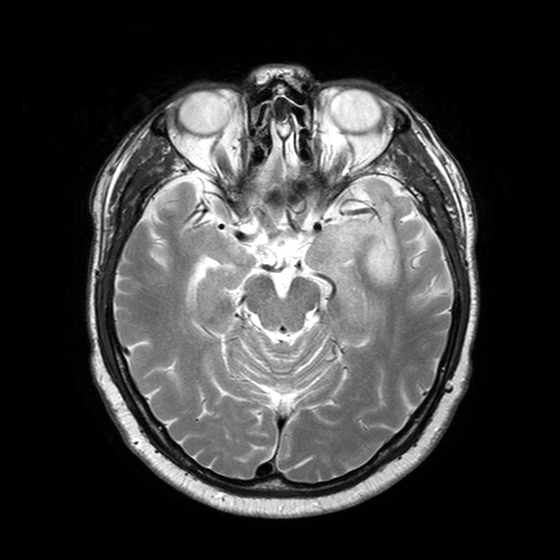
3 Tesla brain MRI.
Series: T2-weighted turbo spin echo with SENSE.
Study: ring-enhancing brain masses.